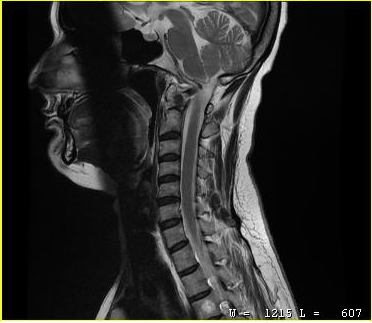
Clinical context:
MRI of the cervical spine. Study: cervical spondylosis.